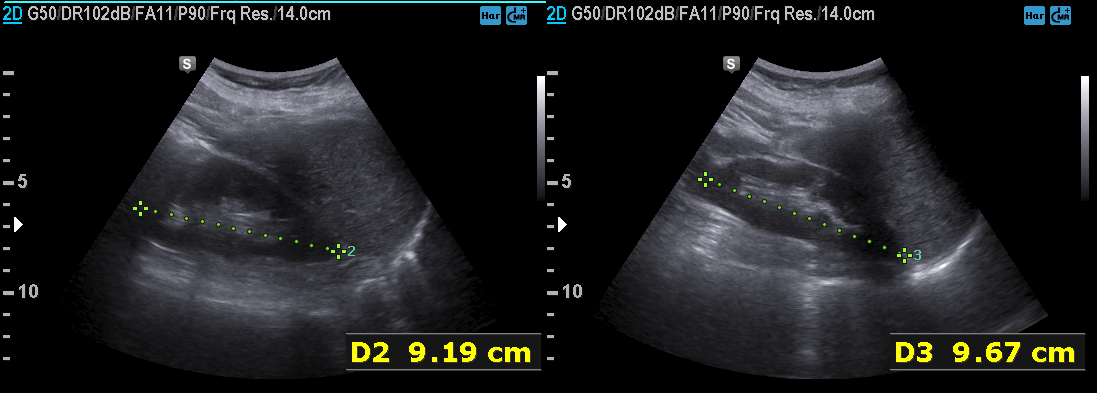
Genitourinary ultrasound.